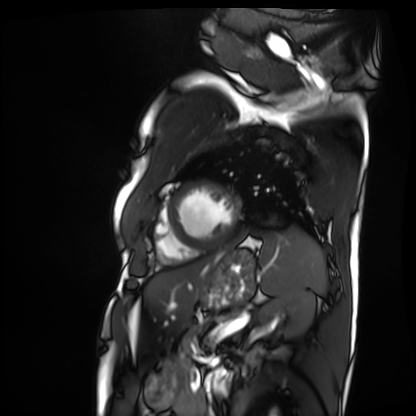
{
  "modality": "cardiac MRI",
  "cohort": "patient"
}